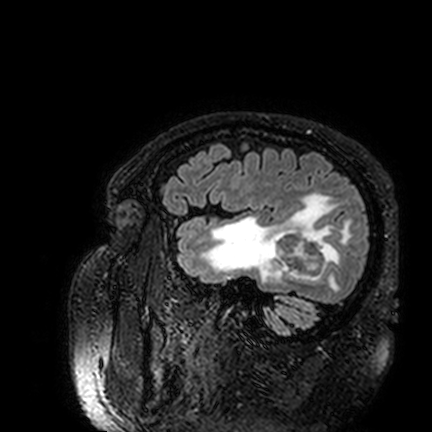
  modality:
    type: brain MRI
    field_strength: 3T
  series: FLAIR VISTA
  study_topic: ring-enhancing brain masses